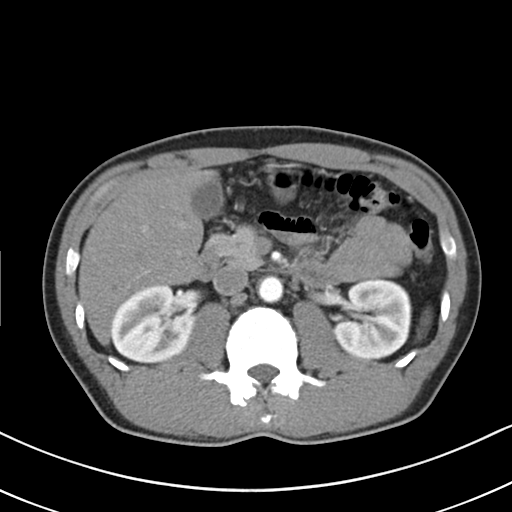
– modality — multiphase abdominal CT, liver, arterial phase
– patient — male, age 54
– history — cirrhosis, viral hepatitis